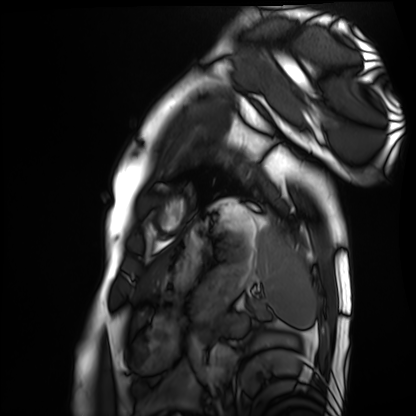
modality: cardiac MRI, subject group: healthy volunteer.